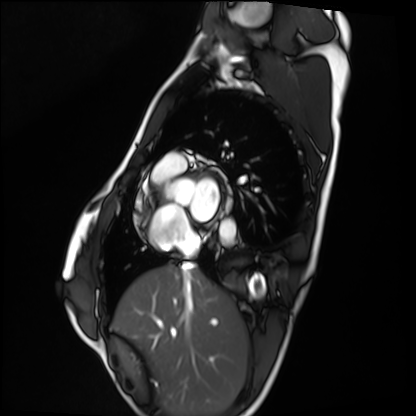
Summary:
Cardiac MRI. Subject group: healthy volunteer.